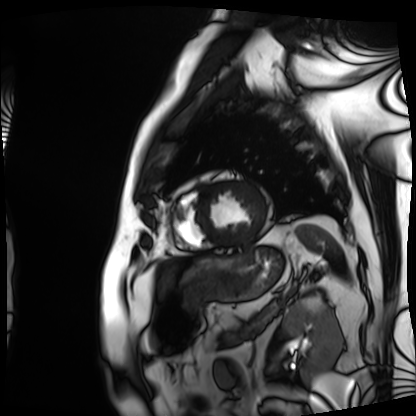
modality = cardiac MRI | subject group = patient.